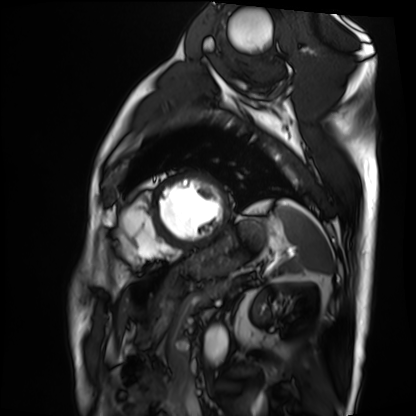
Cardiac MRI. Subject group: patient.